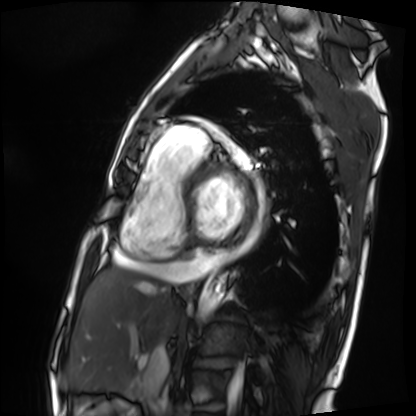
modality: cardiac MRI | subject group: patient.